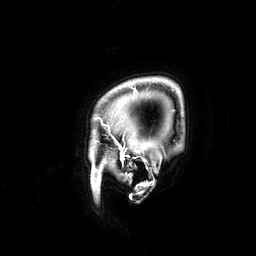
* modality · 3 Tesla brain MRI
* series · 3D T1-weighted
* study · ring-enhancing brain masses